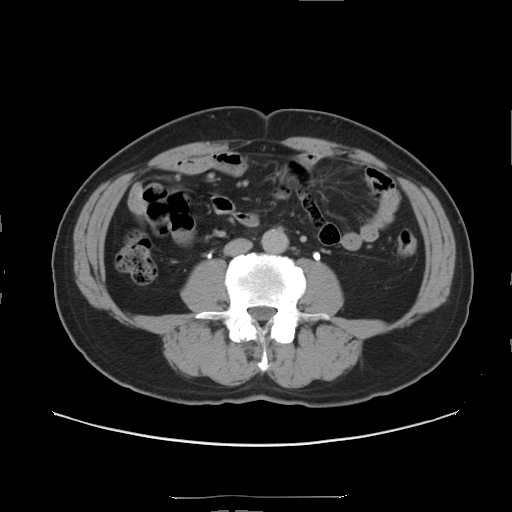
  modality:
    type: multiphase abdominal CT
    region: liver
    phase: delayed
  patient:
    sex: male
    age: 56
  history:
    - prior chemotherapy